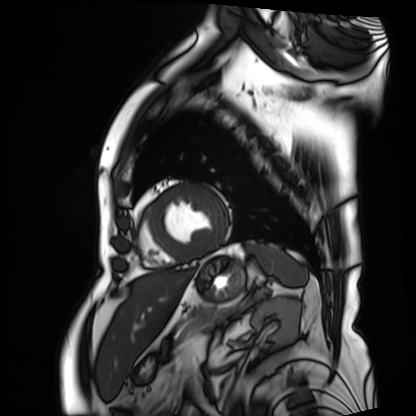
Cardiac MRI.
Subject group: patient.